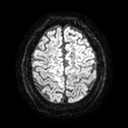
Case summary:
3 Tesla brain MRI. Series: diffusion tensor imaging (medium iso). Study: ring-enhancing brain masses.